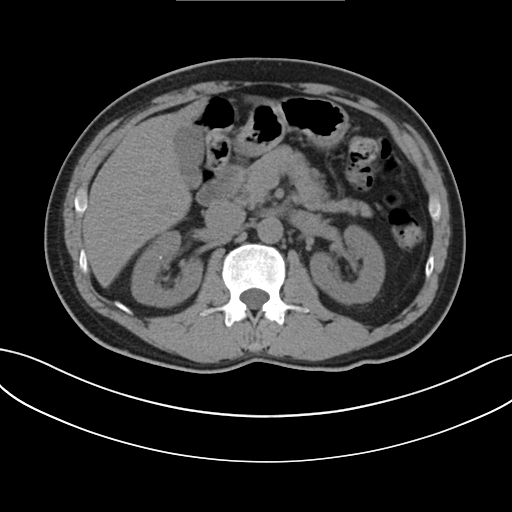
modality = multiphase abdominal CT, liver, non-contrast phase | patient = male, age 60 | history = cirrhosis.